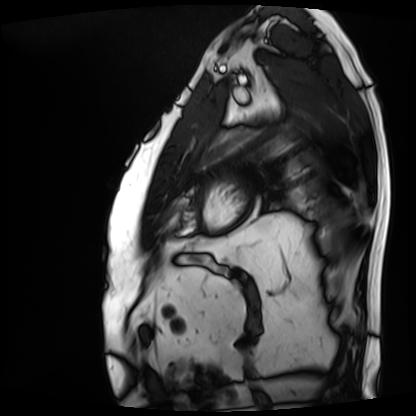
Clinical context:
Cardiac MRI. Subject group: patient.